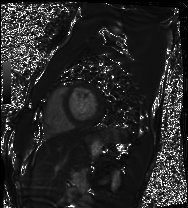
modality: cardiac MRI
cohort: healthy volunteer